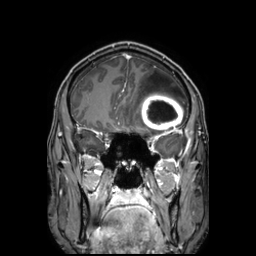
Q: What kind of scan is this?
A: 3 Tesla brain MRI.
Q: Series?
A: 3D T1-weighted TFE with SENSE.
Study: ring-enhancing brain masses.